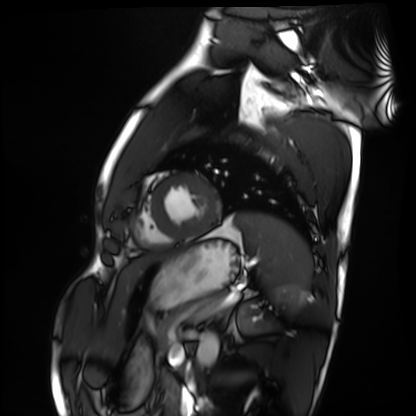
Cardiac MRI.
Subject group: healthy volunteer.